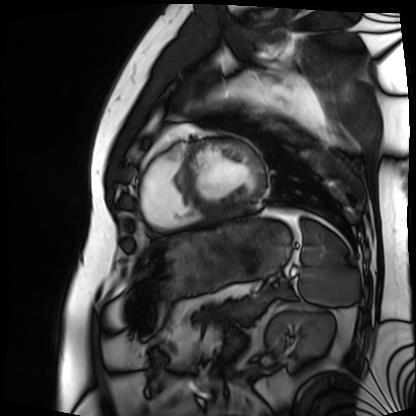
<record>
  <modality>cardiac MRI</modality>
  <cohort>patient</cohort>
</record>